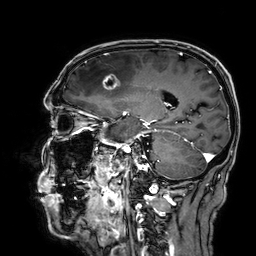
3 Tesla brain MRI.
Series: 3D T1-weighted.
Study: ring-enhancing brain masses.